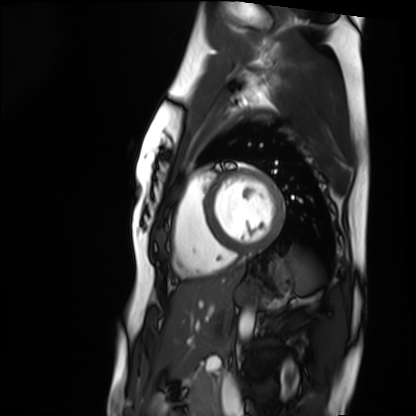
modality: cardiac MRI; subject group: healthy volunteer.